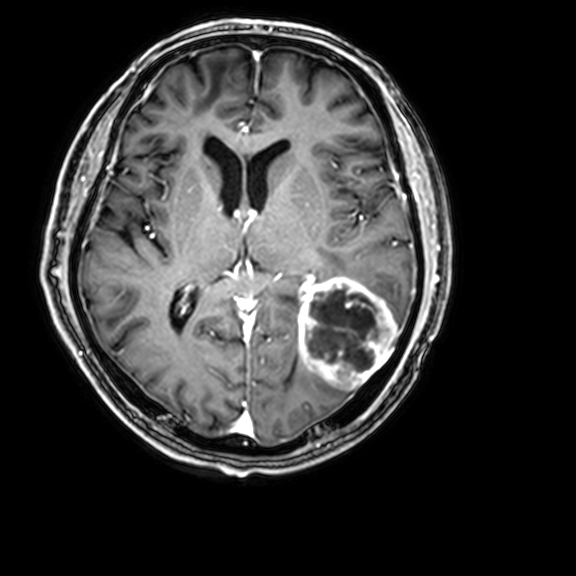
Summary: 3 Tesla brain MRI. Series: 3D T1-weighted with CLEAR. Study: ring-enhancing brain masses.